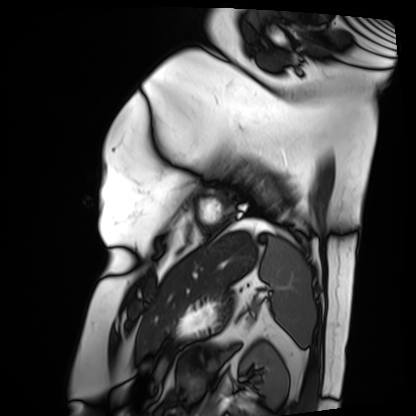
Q: What kind of scan is this?
A: Cardiac MRI.
Subject group: patient.